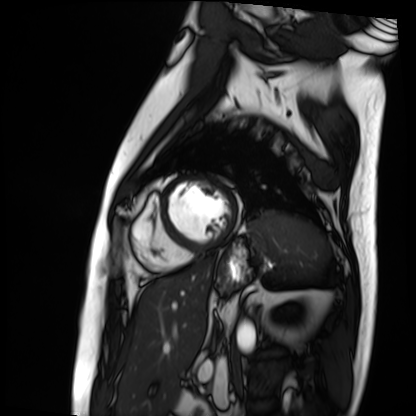
Summary: Cardiac MRI. Subject group: patient.